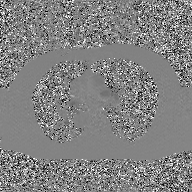
2D phase-contrast cine MRI of the ascending aorta, GAN super-resolution reconstruction.